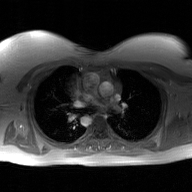
2D phase-contrast cine MRI of the ascending aorta, GAN super-resolution reconstruction.